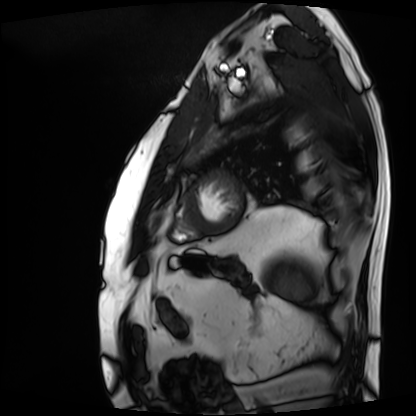
Clinical context:
Cardiac MRI. Subject group: patient.